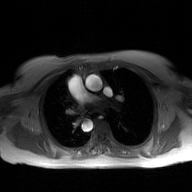
2D phase-contrast cine MRI of the ascending aorta, GAN super-resolution reconstruction.